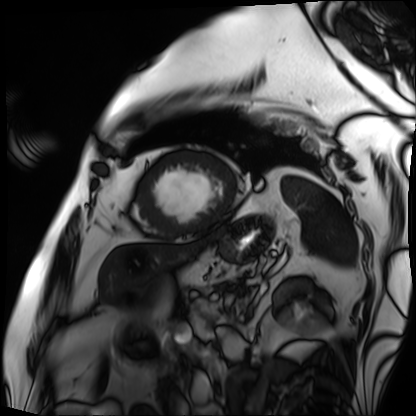
Case:
- modality · cardiac MRI
- subject group · patient